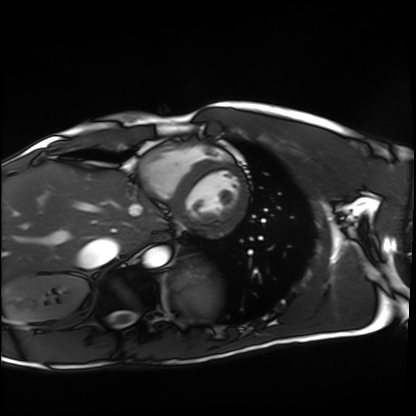
Q: What kind of scan is this?
A: Cardiac MRI.
Subject group: healthy volunteer.